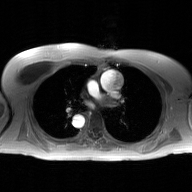
Q: What kind of scan is this?
A: 2D phase-contrast cine MRI of the ascending aorta, GAN super-resolution reconstruction.